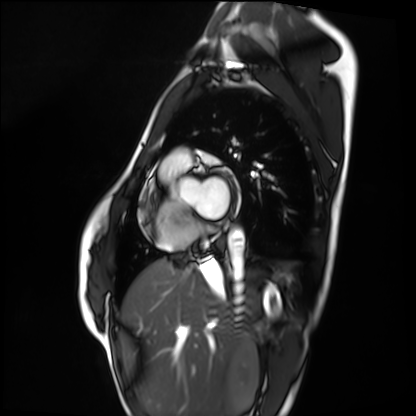
Cardiac MRI. Subject group: healthy volunteer.